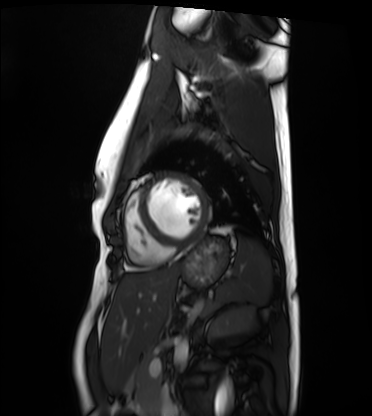
* modality · cardiac MRI
* subject group · healthy volunteer